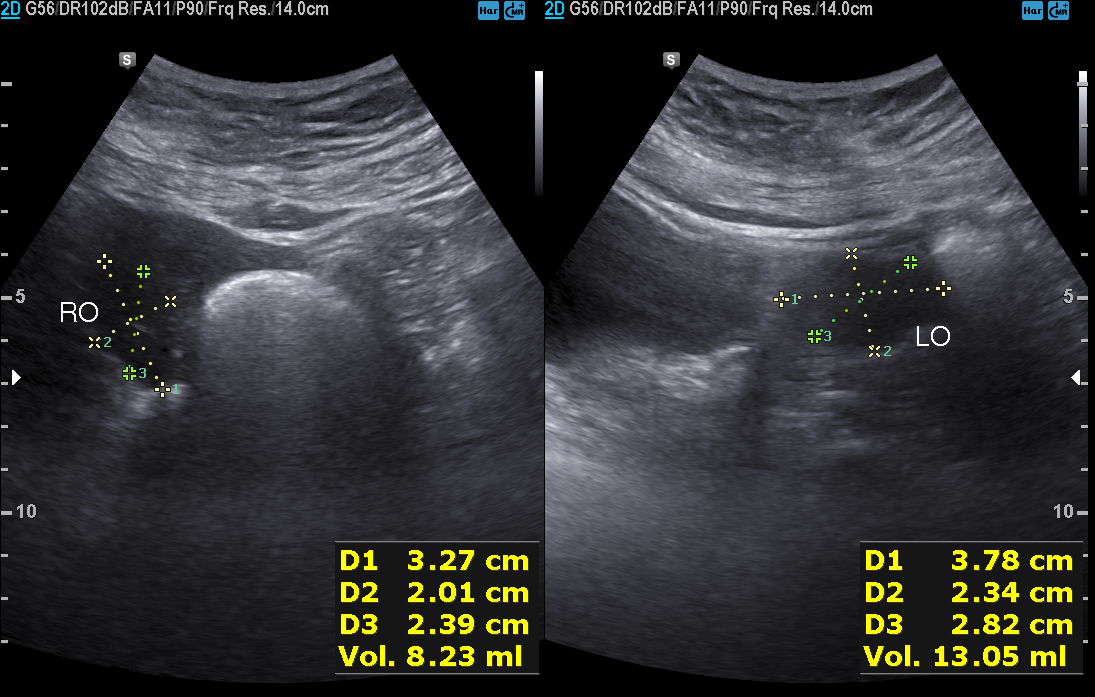
Case:
- modality — genitourinary ultrasound